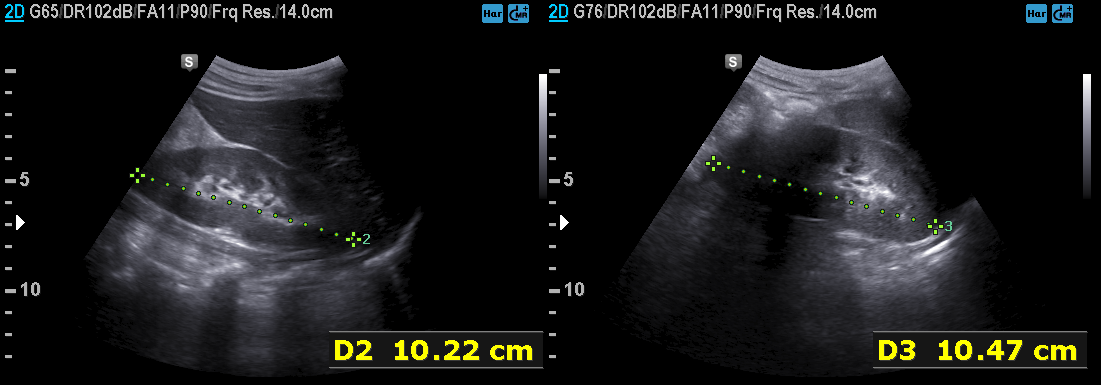
Clinical context:
Genitourinary ultrasound.